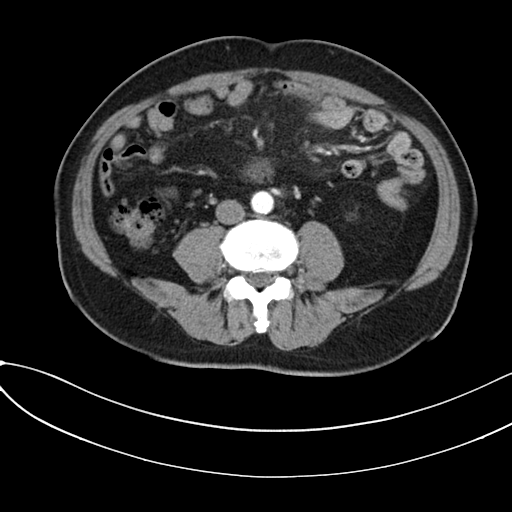
Multiphase abdominal CT, liver, arterial phase. Patient: male, age 59.